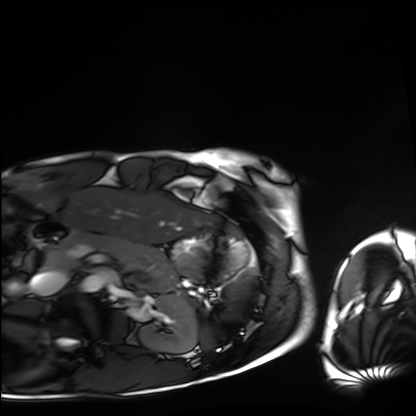
Cardiac MRI. Subject group: healthy volunteer.